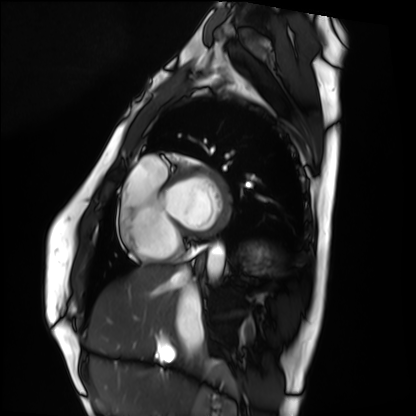
– modality: cardiac MRI
– subject group: healthy volunteer